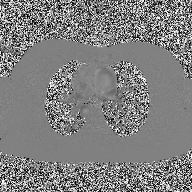
modality — 2D phase-contrast cine MRI of the ascending aorta.